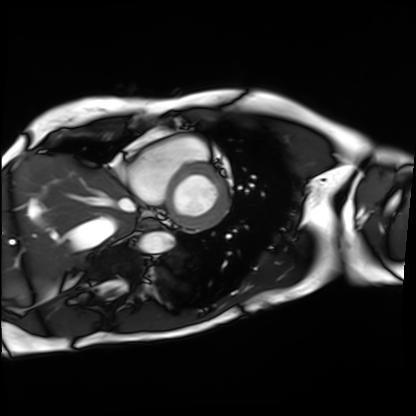
{"modality": "cardiac MRI", "cohort": "patient"}